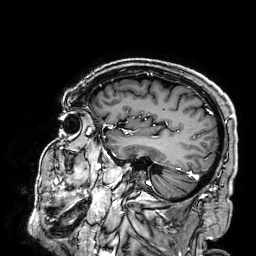
3 Tesla brain MRI.
Series: 3D T1-weighted.
Study: ring-enhancing brain masses.